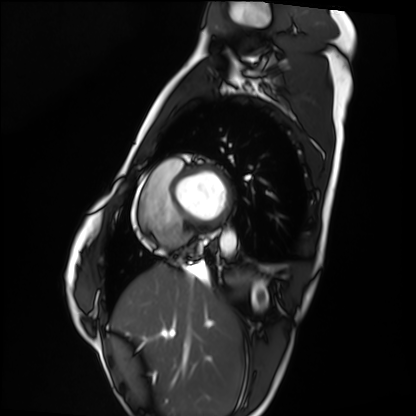
modality: cardiac MRI | subject group: healthy volunteer.